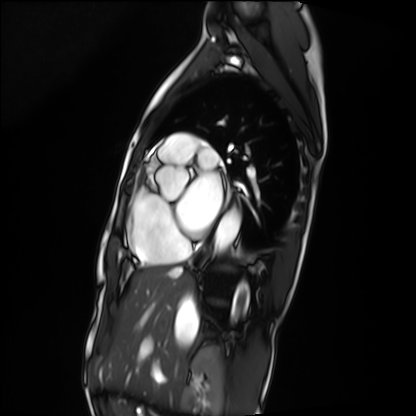
Cardiac MRI. Subject group: patient.